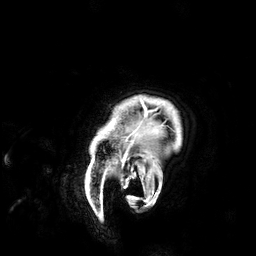
Q: What kind of scan is this?
A: 3 Tesla brain MRI.
Q: Series?
A: 3D T1-weighted.
Study: ring-enhancing brain masses.